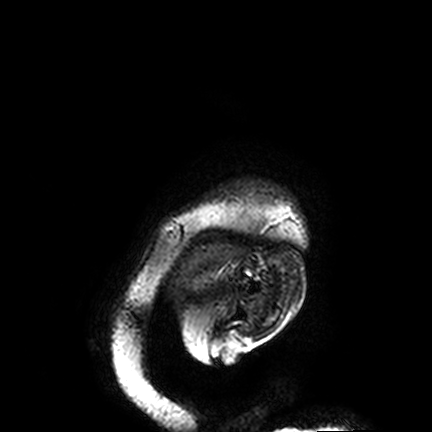
Summary: 3 Tesla brain MRI. Series: FLAIR VISTA. Study: ring-enhancing brain masses.